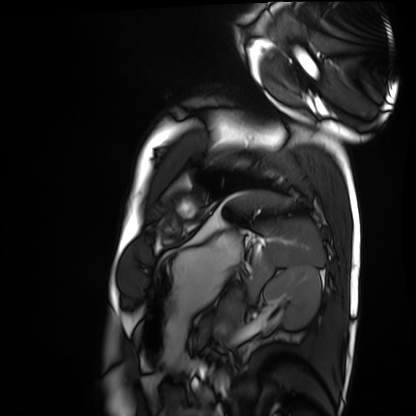
Q: What kind of scan is this?
A: Cardiac MRI.
Subject group: healthy volunteer.